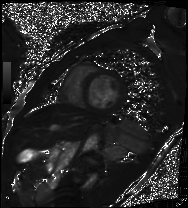
modality = cardiac MRI
subject group = patient